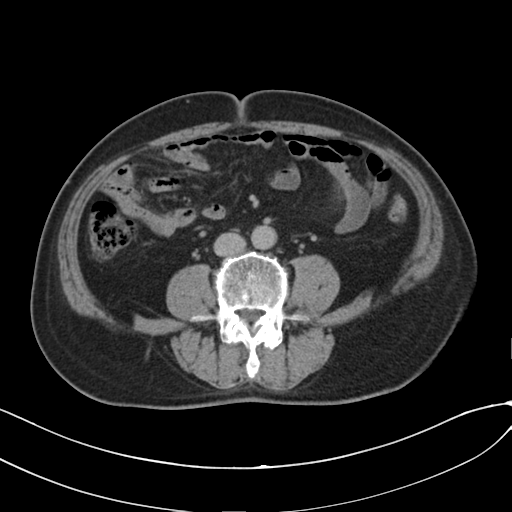
{
  "modality": {
    "type": "multiphase abdominal CT",
    "region": "liver",
    "phase": "delayed"
  },
  "patient": {
    "sex": "male",
    "age": 73
  },
  "history": [
    "cirrhosis",
    "viral hepatitis"
  ]
}